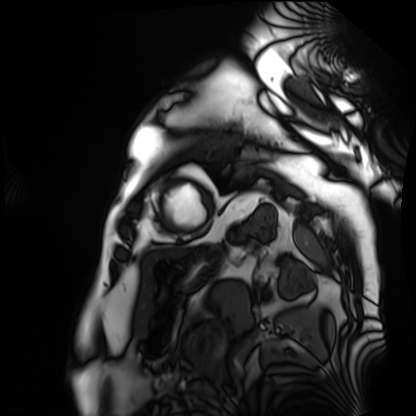
Q: What kind of scan is this?
A: Cardiac MRI.
Subject group: patient.